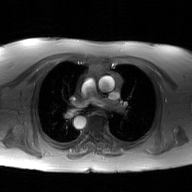
Case:
• modality — 2D phase-contrast cine MRI of the ascending aorta, GAN super-resolution reconstruction